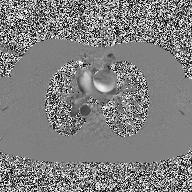
2D phase-contrast cine MRI of the ascending aorta, high-resolution GRAPPA acquisition.